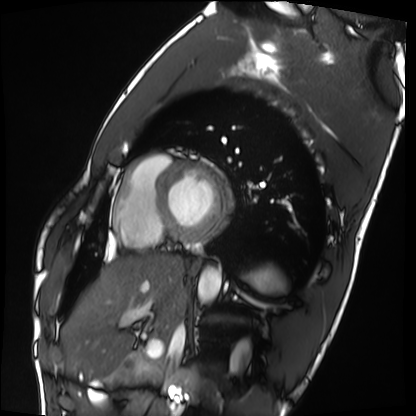
Cardiac MRI.
Subject group: healthy volunteer.